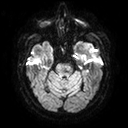
* modality — 3 Tesla brain MRI
* series — diffusion tensor imaging (medium iso)
* study — ring-enhancing brain masses